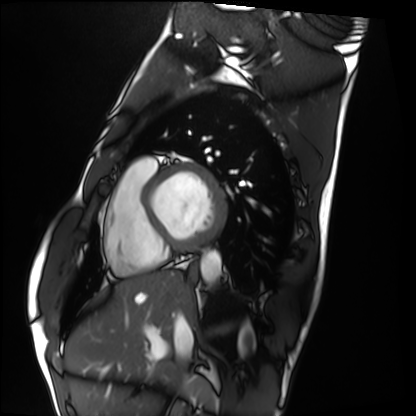
modality: cardiac MRI
subject group: healthy volunteer